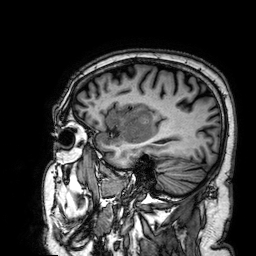
• modality · 3 Tesla brain MRI
• series · 3D T1-weighted
• study · ring-enhancing brain masses